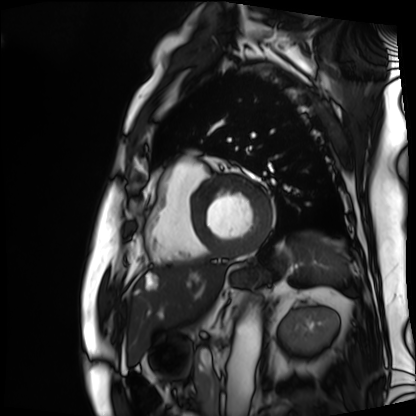
Cardiac MRI. Subject group: patient.